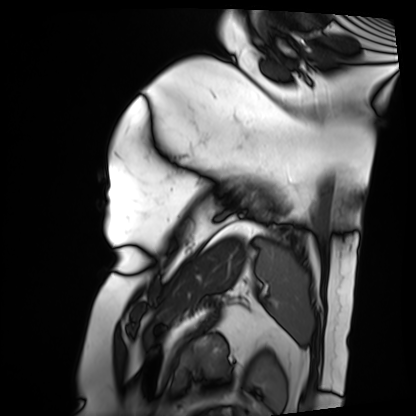
modality — cardiac MRI
subject group — patient